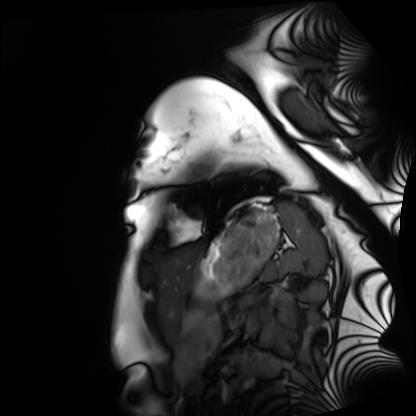
{"modality": "cardiac MRI", "cohort": "healthy volunteer"}